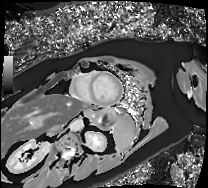
modality: cardiac MRI | subject group: patient.